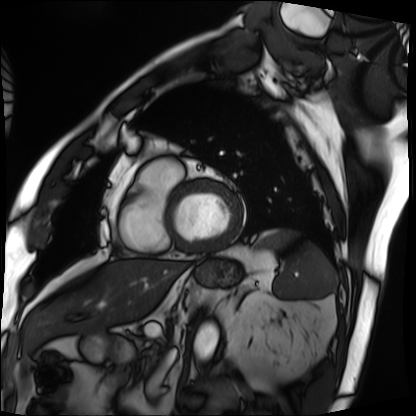
Cardiac MRI.
Subject group: patient.